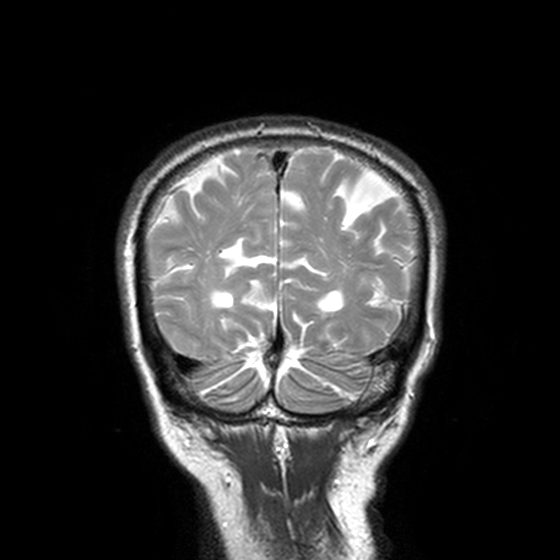
3 Tesla brain MRI.
Series: T2-weighted turbo spin echo, 3 mm.
Study: ring-enhancing brain masses.